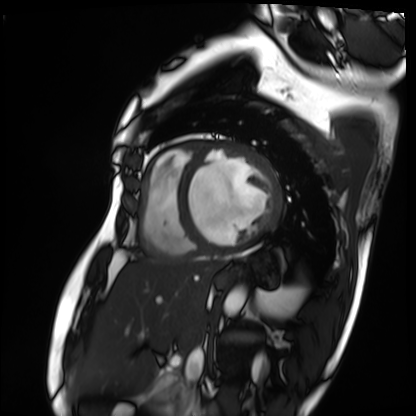
modality: cardiac MRI | subject group: patient.